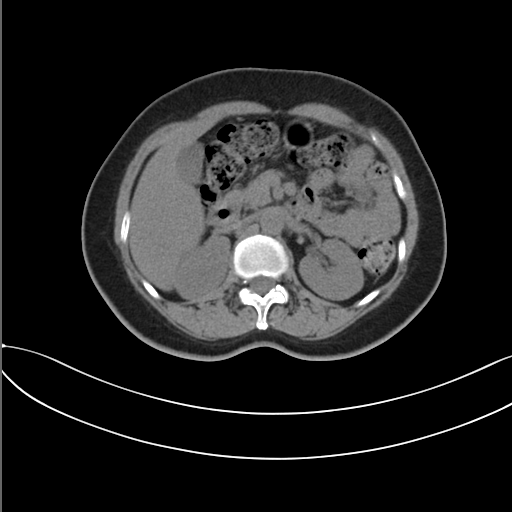
Summary: Multiphase abdominal CT, liver, non-contrast phase.